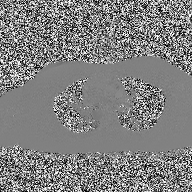
modality: 2D phase-contrast cine MRI of the ascending aorta.